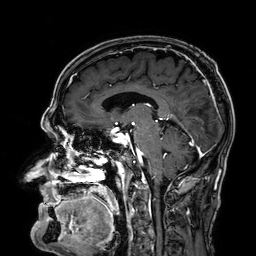
Clinical context: 3 Tesla brain MRI. Series: 3D T1-weighted. Study: ring-enhancing brain masses.